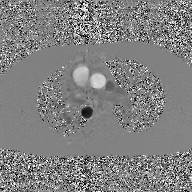
2D phase-contrast cine MRI of the ascending aorta, GAN super-resolution reconstruction.